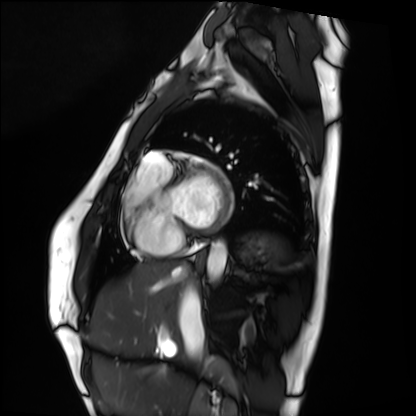
Case:
* modality: cardiac MRI
* subject group: healthy volunteer